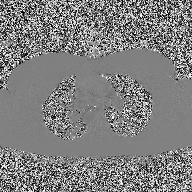
Q: What kind of scan is this?
A: 2D phase-contrast cine MRI of the ascending aorta.